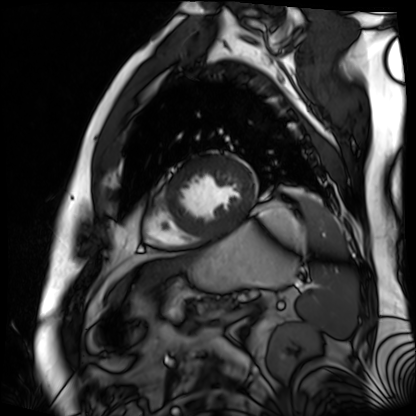
<record>
<modality>cardiac MR image of the myocardium</modality>
<cohort>cardiac patient</cohort>
</record>